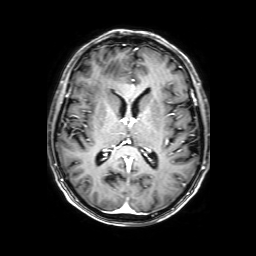
3 Tesla brain MRI.
Series: 3D T1-weighted with SENSE.
Study: ring-enhancing brain masses.